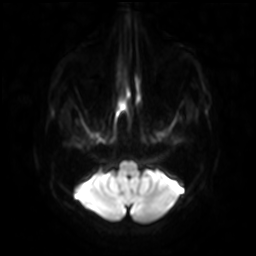
* modality · 3 Tesla brain MRI
* series · diffusion-weighted imaging with SENSE (WIP)
* study · ring-enhancing brain masses